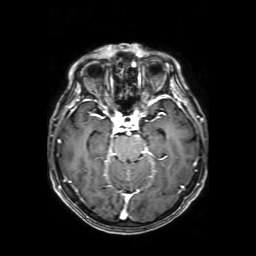
Q: What kind of scan is this?
A: 3 Tesla brain MRI.
Q: Series?
A: Axial T1-weighted fusion image.
Study: ring-enhancing brain masses.